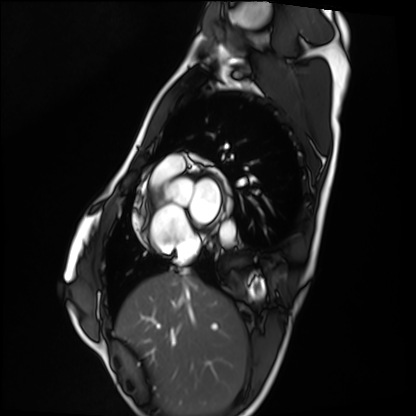
Cardiac MRI.
Subject group: healthy volunteer.